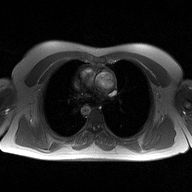
Case:
- modality — 2D phase-contrast cine MRI of the ascending aorta